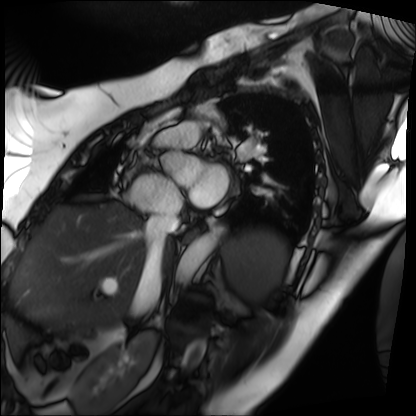
Case summary: Cardiac MRI. Subject group: patient.